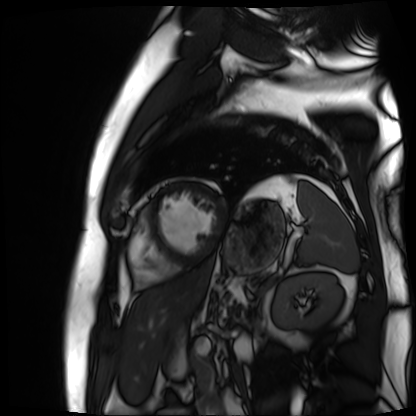
* modality — cardiac MR image of the myocardium
* subject cohort — cardiac patient